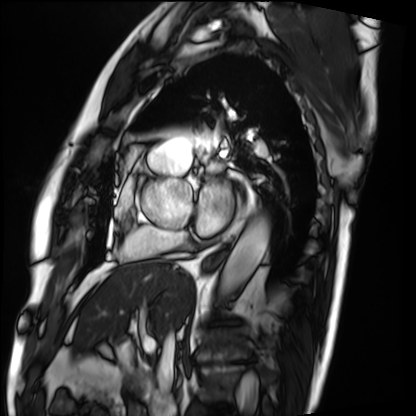
modality = cardiac MRI; subject group = patient.